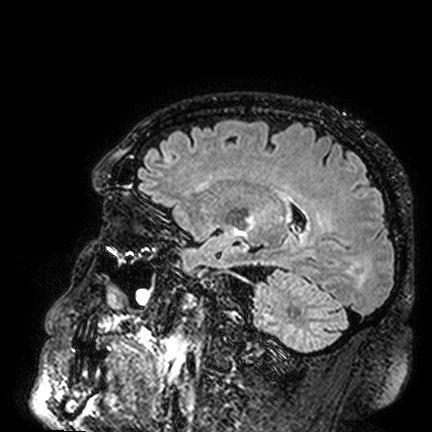
Summary: 3 Tesla brain MRI. Series: FLAIR VISTA. Study: ring-enhancing brain masses.